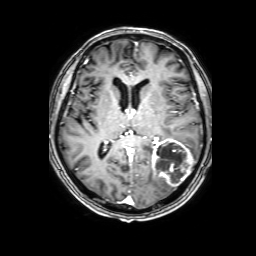
3 Tesla brain MRI. Series: 3D T1-weighted with SENSE. Study: ring-enhancing brain masses.